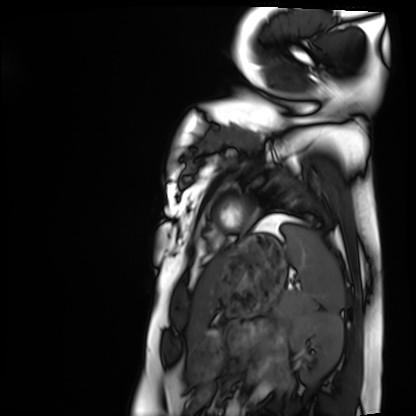
Clinical context:
Cardiac MRI. Subject group: healthy volunteer.